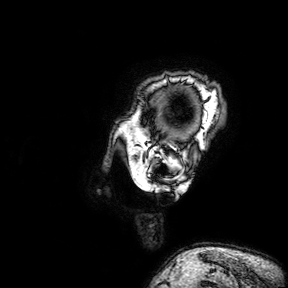
3 Tesla brain MRI. Series: 3D T1-weighted turbo field echo with SENSE. Study: ring-enhancing brain masses.